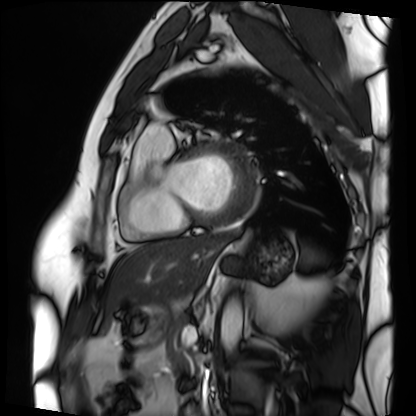
modality: cardiac MRI
cohort: patient